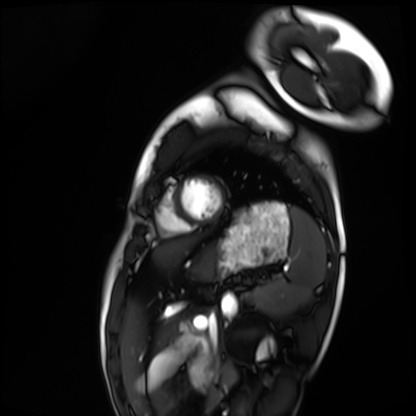
Q: What kind of scan is this?
A: Cardiac MRI.
Subject group: healthy volunteer.